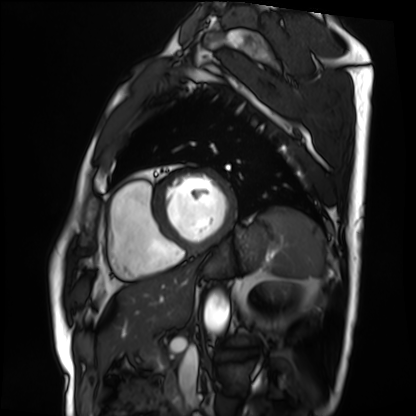
Case summary:
Cardiac MRI. Subject group: patient.